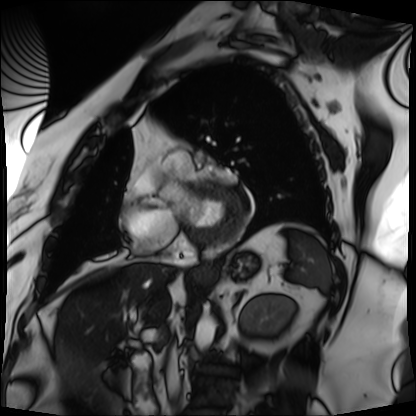
Cardiac MRI. Subject group: patient.